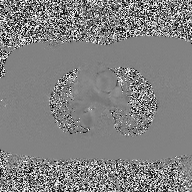
  modality:
    type: 2D phase-contrast cine MRI
    region: ascending aorta
    reconstruction: high-resolution GRAPPA acquisition